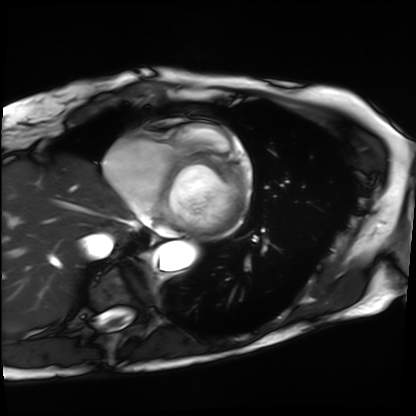
modality = cardiac MRI, subject group = patient.